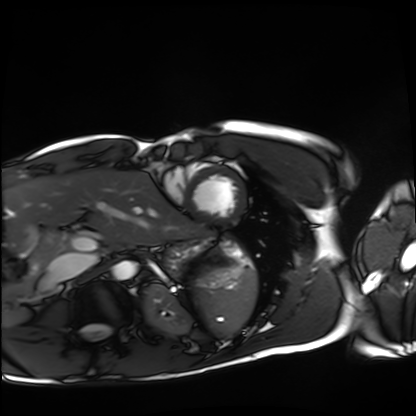
| field | value |
|---|---|
| modality | cardiac MRI |
| subject group | healthy volunteer |